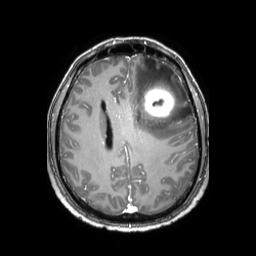
{"modality": {"type": "brain MRI", "field_strength": "3T"}, "study_topic": "ring-enhancing brain masses"}